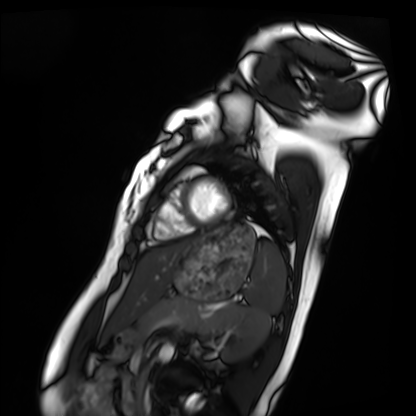
Cardiac MRI.
Subject group: healthy volunteer.